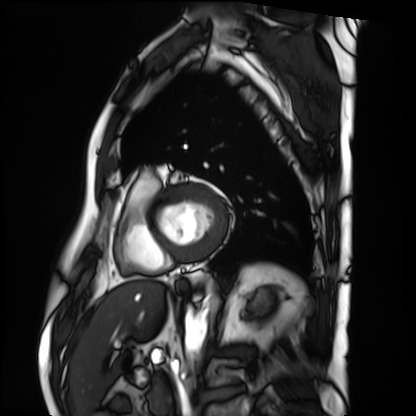
Q: What kind of scan is this?
A: Cardiac MRI.
Subject group: patient.